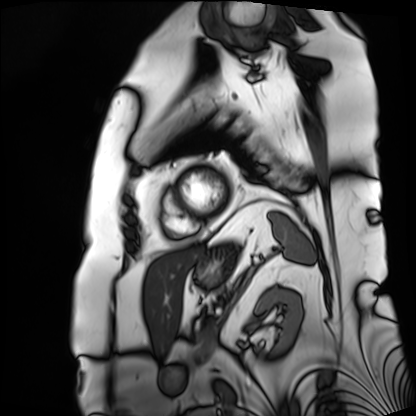
Cardiac MRI. Subject group: patient.